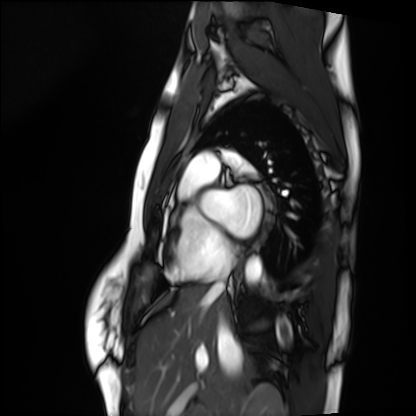
Summary: Cardiac MRI. Subject group: healthy volunteer.